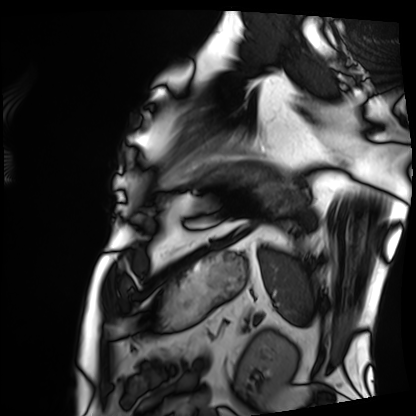
Clinical context:
Cardiac MRI. Subject group: patient.